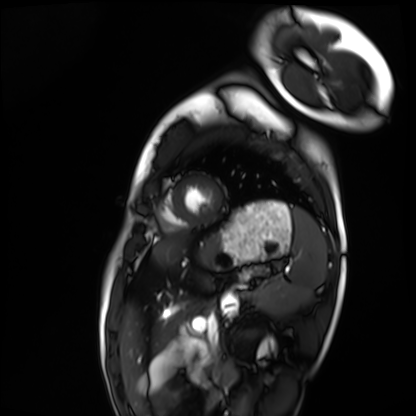
<study>
<modality>cardiac MRI</modality>
<cohort>healthy volunteer</cohort>
</study>